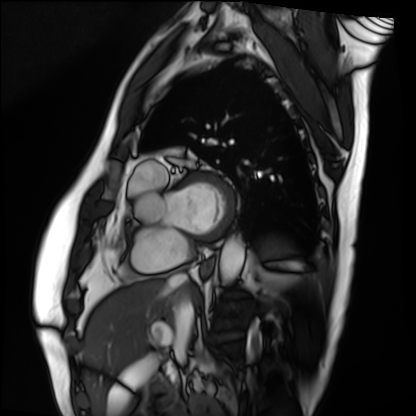
Cardiac MRI. Subject group: patient.